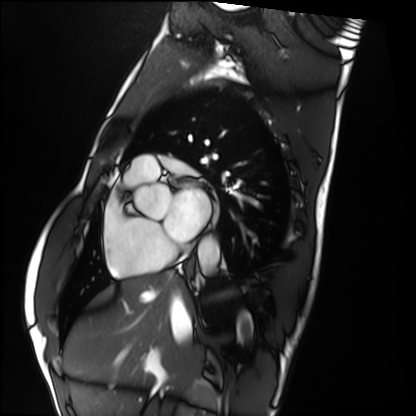
Cardiac MRI. Subject group: healthy volunteer.